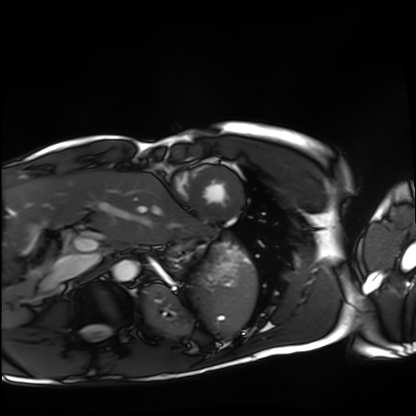
<record>
  <modality>cardiac MRI</modality>
  <cohort>healthy volunteer</cohort>
</record>